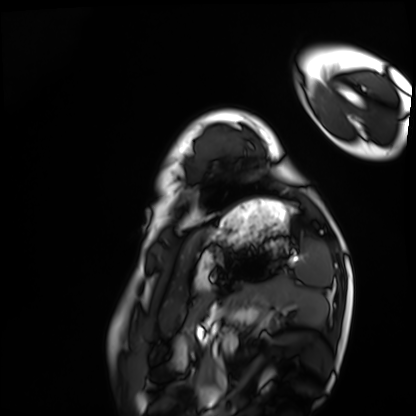
Cardiac MRI. Subject group: healthy volunteer.